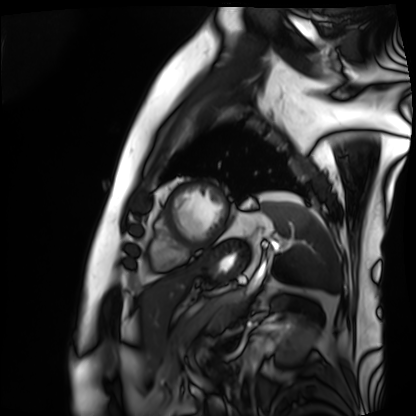
modality: cardiac MRI; subject group: patient.